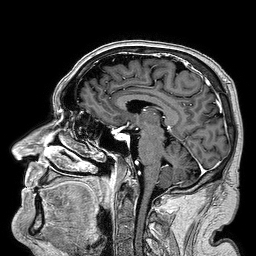
Summary: 3 Tesla brain MRI. Series: 3D T1-weighted turbo field echo. Study: ring-enhancing brain masses.